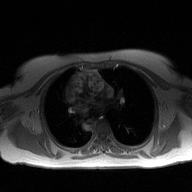
modality=2D phase-contrast cine MRI of the ascending aorta.